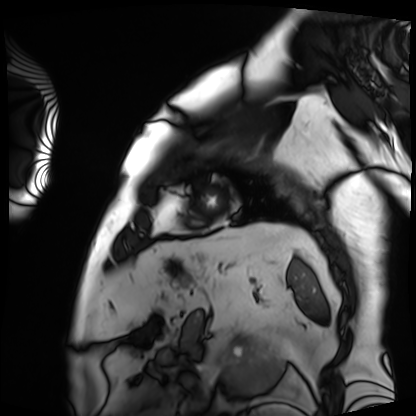
Cardiac MRI.
Subject group: patient.